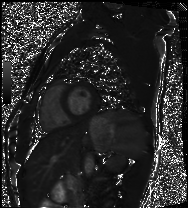
Cardiac MRI. Subject group: healthy volunteer.